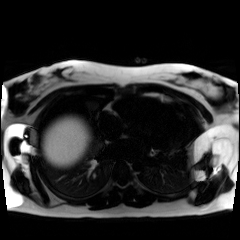
Chemical-shift-encoded cardiac MRI.